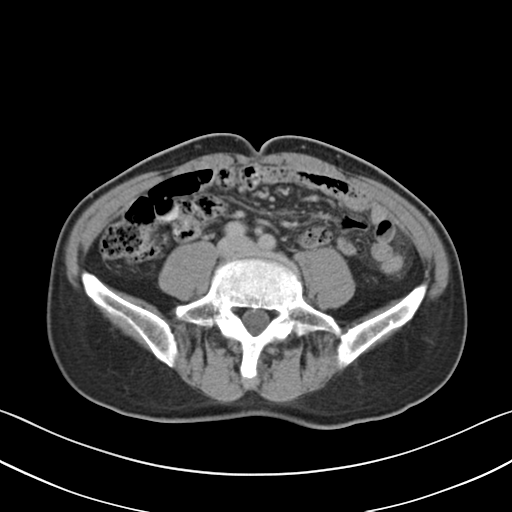
| field | value |
|---|---|
| modality | multiphase abdominal CT, liver, delayed phase |
| patient | male, age 67 |
| history | prior chemotherapy |